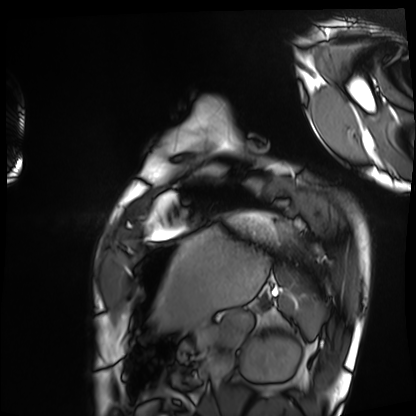
{"modality": "cardiac MRI", "cohort": "healthy volunteer"}